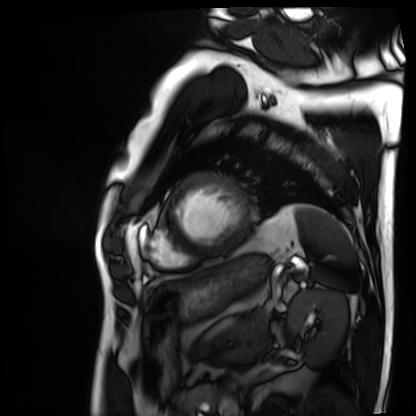
Q: What kind of scan is this?
A: Cardiac MRI.
Subject group: patient.